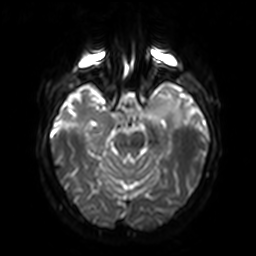
3 Tesla brain MRI.
Study: ring-enhancing brain masses.